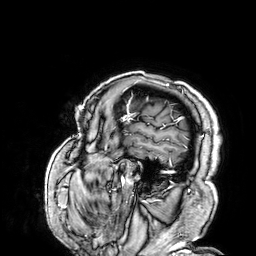
modality:
  type: brain MRI
  field_strength: 3T
series: 3D T1-weighted
study_topic: ring-enhancing brain masses